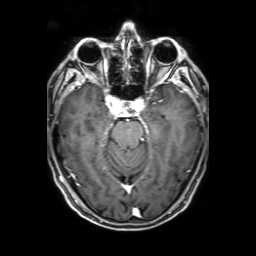
3 Tesla brain MRI.
Series: 3D T1-weighted with SENSE.
Study: ring-enhancing brain masses.